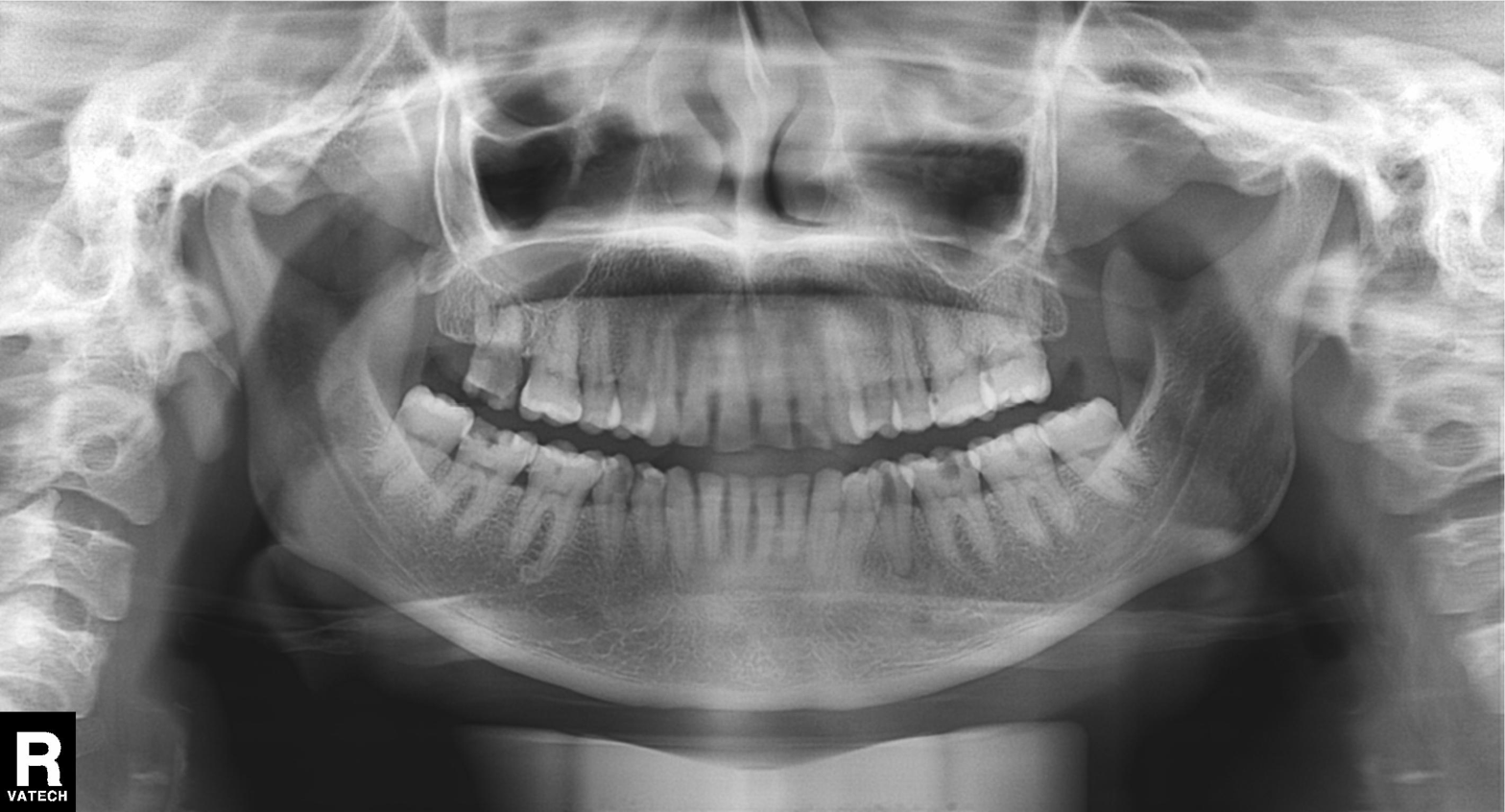
Summary: Panoramic dental radiograph (orthopantomogram).
Impression: Dental caries (cavities).